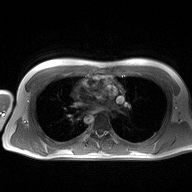
modality = 2D phase-contrast cine MRI of the ascending aorta.